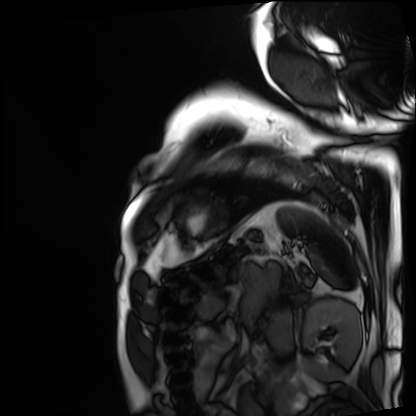
* modality — cardiac MRI
* subject group — patient